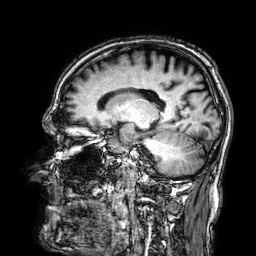
<record>
<modality>
  <type>brain MRI</type>
  <field_strength>3T</field_strength>
</modality>
<series>3D T1-weighted</series>
<study_topic>ring-enhancing brain masses</study_topic>
</record>